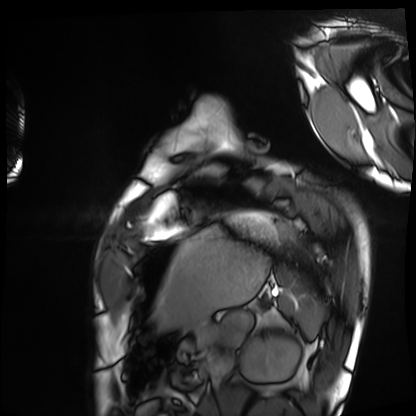
| field | value |
|---|---|
| modality | cardiac MRI |
| subject group | healthy volunteer |